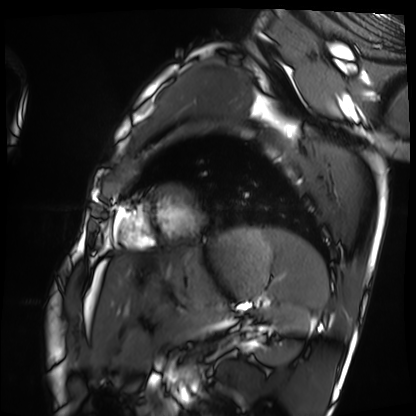
Case:
* modality: cardiac MRI
* subject group: healthy volunteer